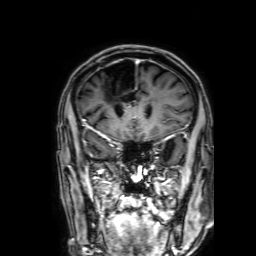
– modality · 3 Tesla brain MRI
– series · 3D T1-weighted with SENSE
– study · ring-enhancing brain masses